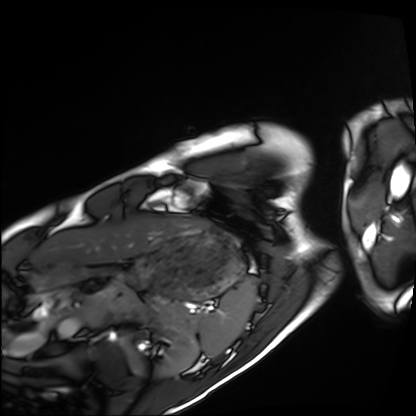
Clinical context:
Cardiac MRI. Subject group: healthy volunteer.